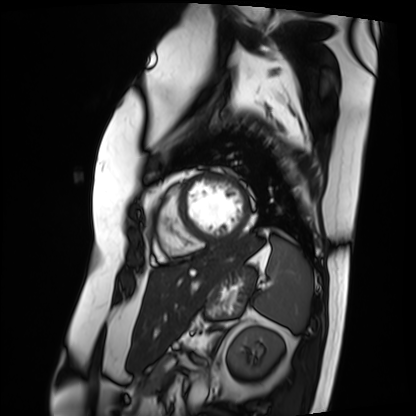
- modality: cardiac MRI
- subject group: patient